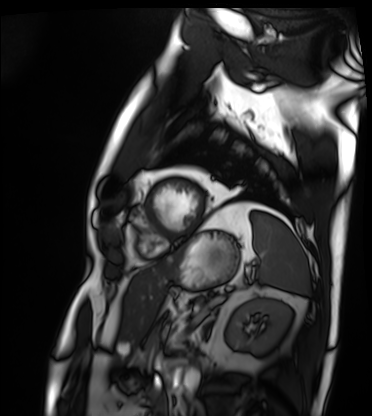
• modality · cardiac MRI
• subject group · patient